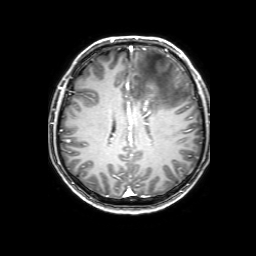
• modality — 3 Tesla brain MRI
• series — 3D T1-weighted with SENSE
• study — ring-enhancing brain masses